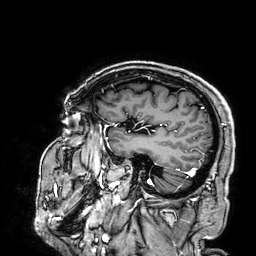
3 Tesla brain MRI.
Series: 3D T1-weighted.
Study: ring-enhancing brain masses.